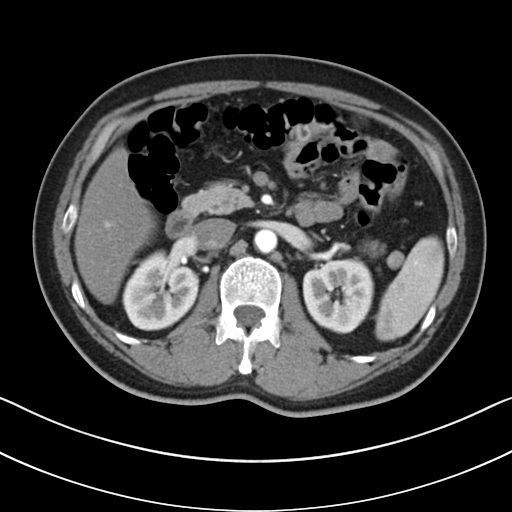
modality:
  type: multiphase abdominal CT
  region: liver
  phase: arterial
patient:
  sex: male
  age: 48
history:
  - cirrhosis
  - viral hepatitis